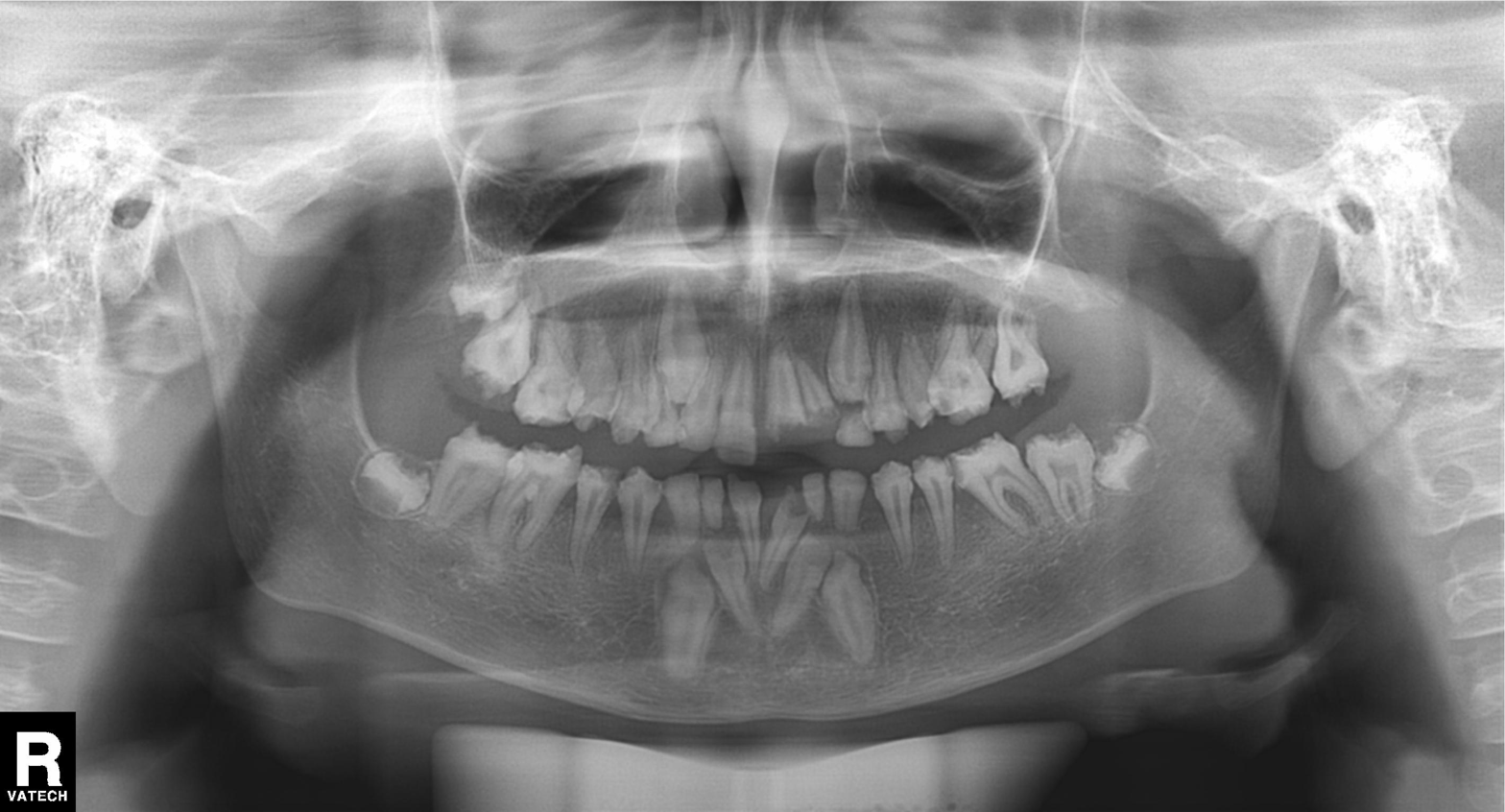
Q: What kind of scan is this?
A: Panoramic dental radiograph (orthopantomogram).
Q: What is the radiographic finding?
A: Tooth impaction.